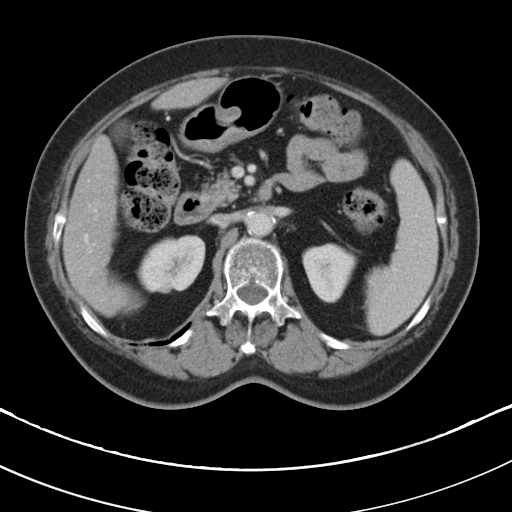
Case:
- modality — multiphase abdominal CT, liver, portal venous phase
- patient — female, age 78